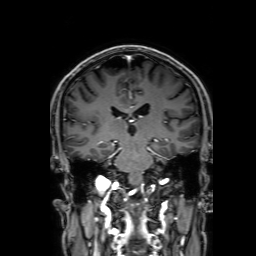
modality — 3 Tesla brain MRI; series — 3D T1-weighted with SENSE; study — ring-enhancing brain masses.